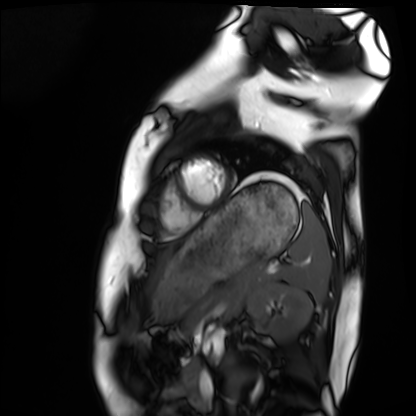
Cardiac MRI.
Subject group: healthy volunteer.